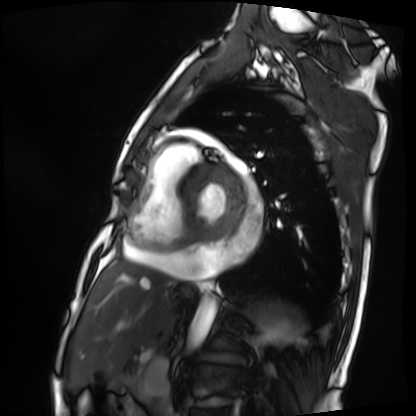
Cardiac MRI. Subject group: patient.